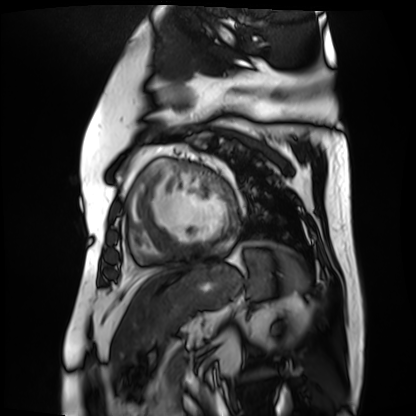
Cardiac MR image of the myocardium. Subject cohort: cardiac patient.